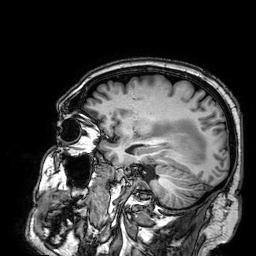
modality:
  type: brain MRI
  field_strength: 3T
series: 3D T1-weighted
study_topic: ring-enhancing brain masses